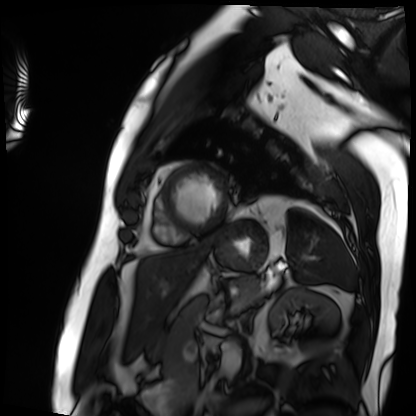
Cardiac MRI.
Subject group: patient.